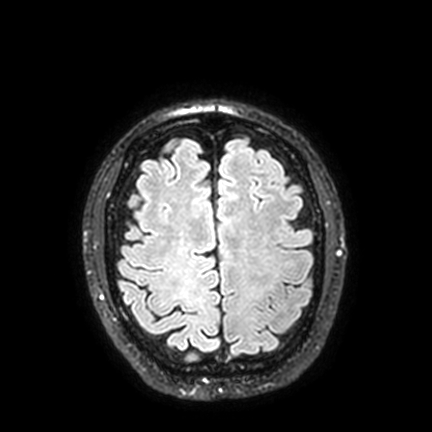
3 Tesla brain MRI. Study: ring-enhancing brain masses.